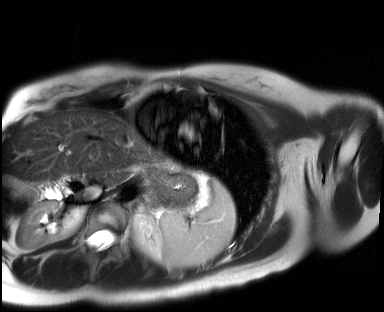
Cardiac MR image of the myocardium. Subject cohort: healthy volunteer.